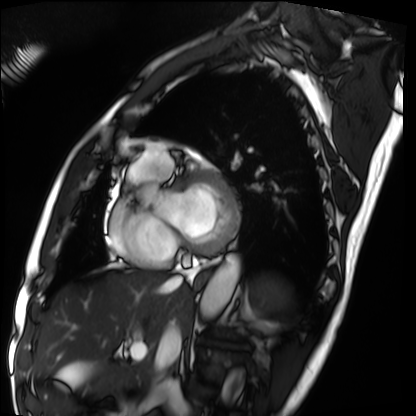
modality = cardiac MRI; subject group = patient.